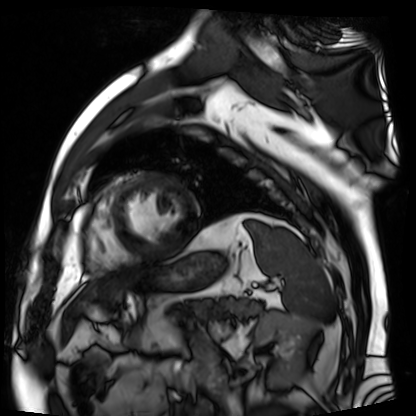
Cardiac MR image of the myocardium. Subject cohort: cardiac patient.